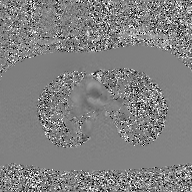
{
  "modality": {
    "type": "2D phase-contrast cine MRI",
    "region": "ascending aorta",
    "reconstruction": "GAN super-resolution reconstruction"
  }
}